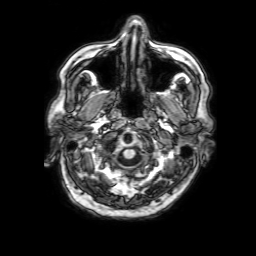
| field | value |
|---|---|
| modality | 3 Tesla brain MRI |
| series | 3D T1-weighted with SENSE |
| study | ring-enhancing brain masses |